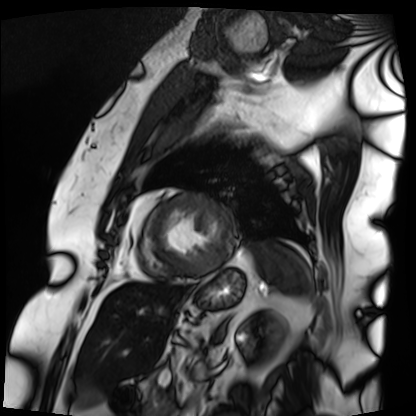
Summary: Cardiac MRI. Subject group: patient.